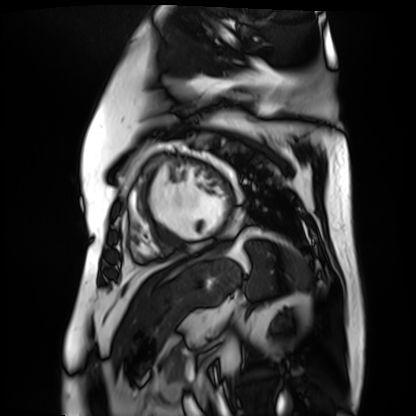
{"modality": "cardiac MR image of the myocardium", "cohort": "cardiac patient"}